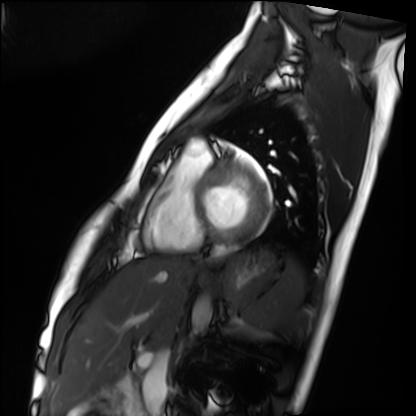
Q: What kind of scan is this?
A: Cardiac MRI.
Subject group: healthy volunteer.